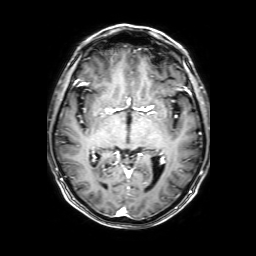
3 Tesla brain MRI.
Series: 3D T1-weighted with SENSE.
Study: ring-enhancing brain masses.